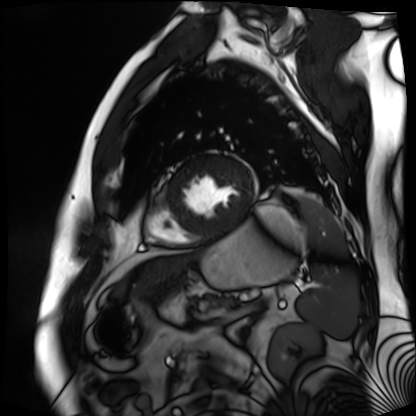
- modality: cardiac MR image of the myocardium
- subject cohort: cardiac patient